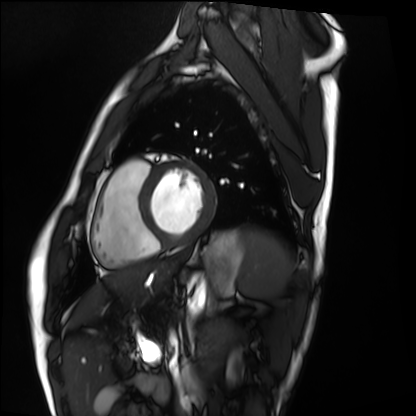
  modality: cardiac MRI
  cohort: healthy volunteer